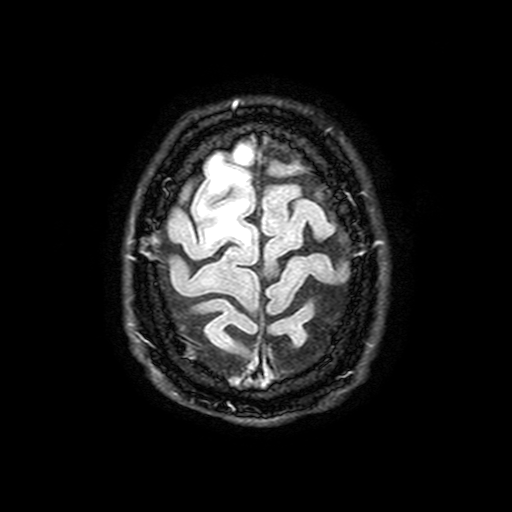
modality: 3 Tesla brain MRI | series: FLAIR with SPAIR, 3 mm | study: ring-enhancing brain masses.